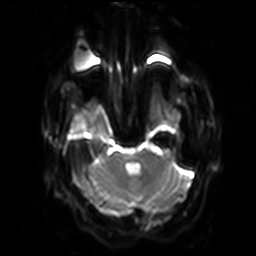
3 Tesla brain MRI.
Series: diffusion-weighted imaging with SENSE (WIP).
Study: ring-enhancing brain masses.